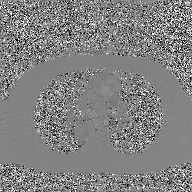
modality: 2D phase-contrast cine MRI of the ascending aorta, GAN super-resolution reconstruction.